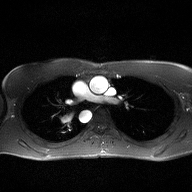
| field | value |
|---|---|
| modality | 2D phase-contrast cine MRI of the ascending aorta |